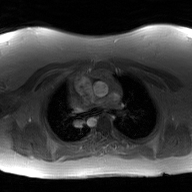
2D phase-contrast cine MRI of the ascending aorta, GAN super-resolution reconstruction.